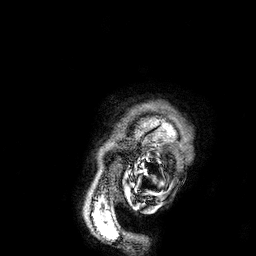
<scan>
<modality>
  <type>brain MRI</type>
  <field_strength>3T</field_strength>
</modality>
<series>3D T1-weighted</series>
<study_topic>ring-enhancing brain masses</study_topic>
</scan>